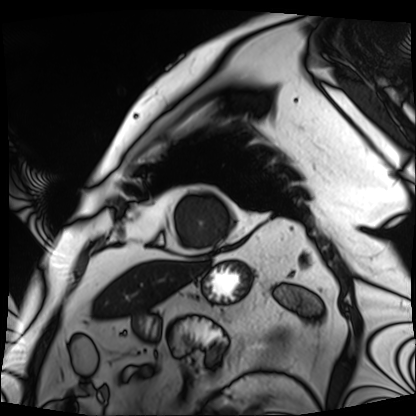
{"modality": "cardiac MRI", "cohort": "patient"}